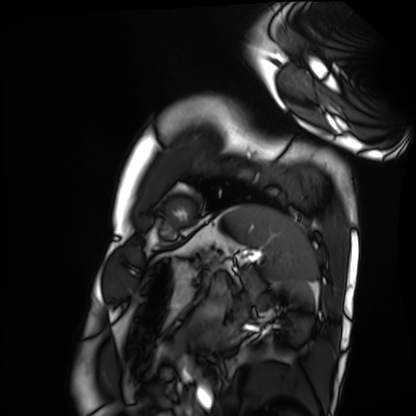
– modality — cardiac MRI
– subject group — healthy volunteer